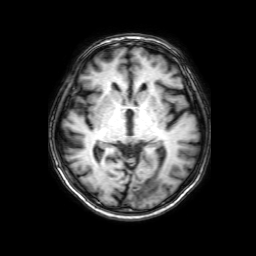
Clinical context: 3 Tesla brain MRI. Series: 3D T1-weighted with SENSE. Study: ring-enhancing brain masses.